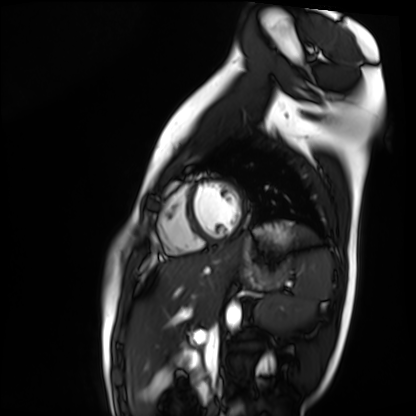
Cardiac MR image of the myocardium.
Subject cohort: healthy volunteer.